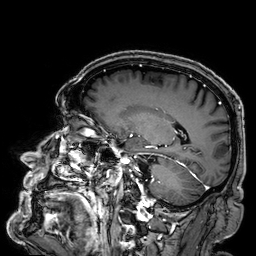
Summary: 3 Tesla brain MRI. Series: 3D T1-weighted. Study: ring-enhancing brain masses.